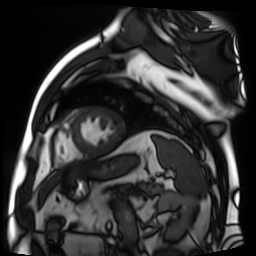
modality: cardiac MR image of the myocardium, subject cohort: cardiac patient.